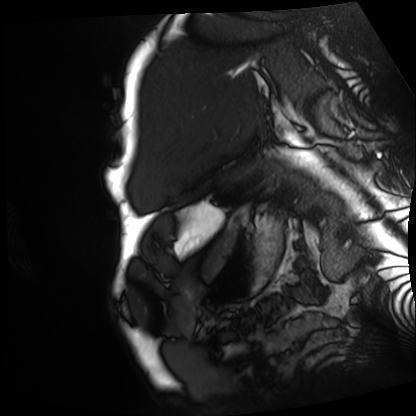
* modality: cardiac MRI
* subject group: patient